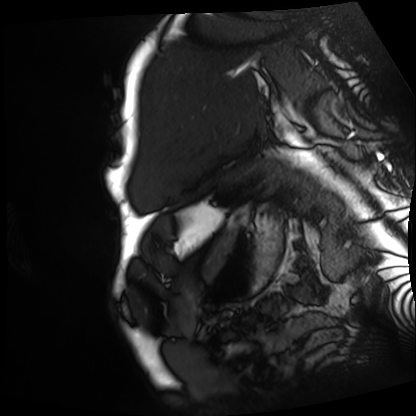
Cardiac MRI.
Subject group: patient.